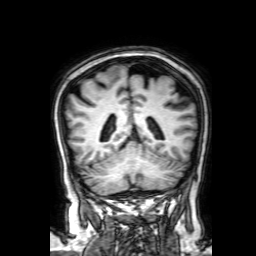
{"modality": {"type": "brain MRI", "field_strength": "3T"}, "series": "3D T1-weighted with SENSE", "study_topic": "ring-enhancing brain masses"}